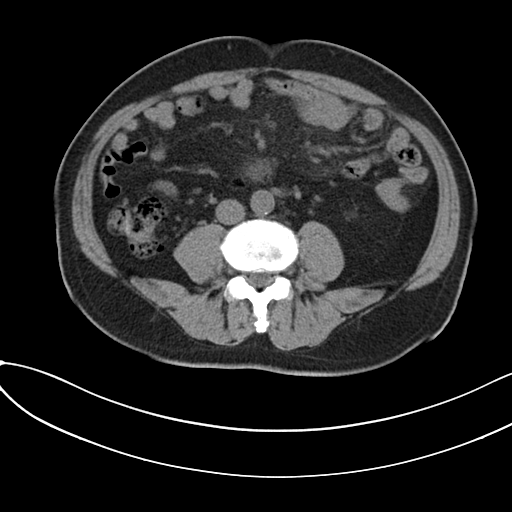
modality:
  type: multiphase abdominal CT
  region: liver
  phase: non-contrast
patient:
  sex: male
  age: 59